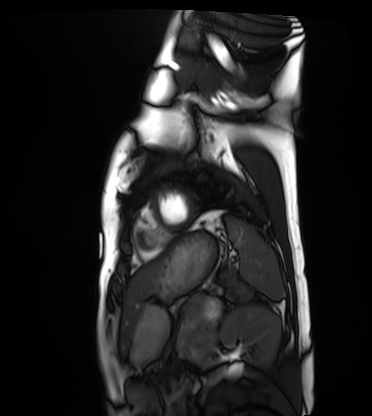
Summary:
Cardiac MRI. Subject group: healthy volunteer.